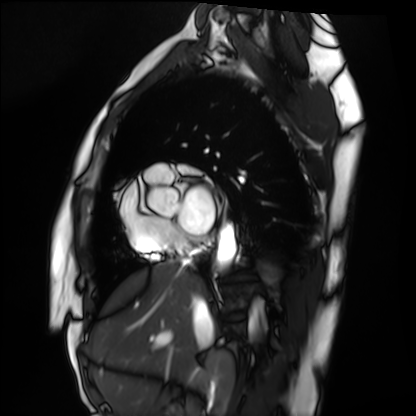
Cardiac MRI.
Subject group: healthy volunteer.